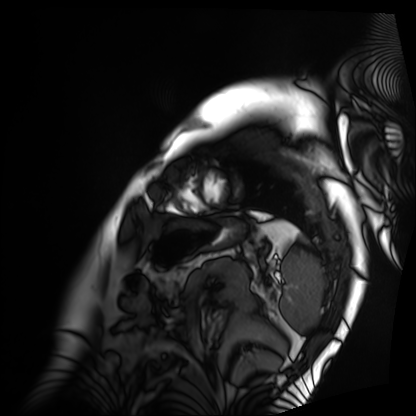
modality = cardiac MRI; subject group = patient.